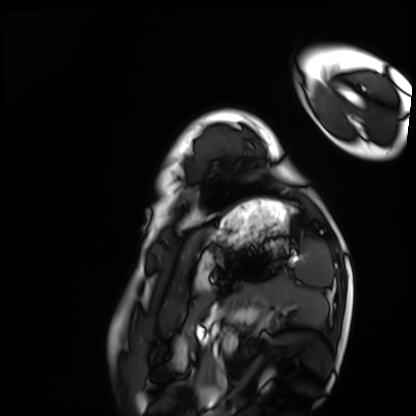
| field | value |
|---|---|
| modality | cardiac MRI |
| subject group | healthy volunteer |